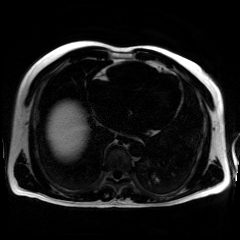
Chemical-shift-encoded cardiac MRI.